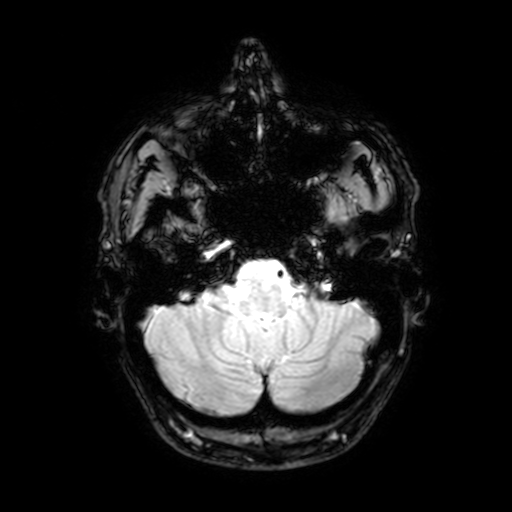
3 Tesla brain MRI. Series: T2-weighted fast field echo with SENSE. Study: ring-enhancing brain masses.